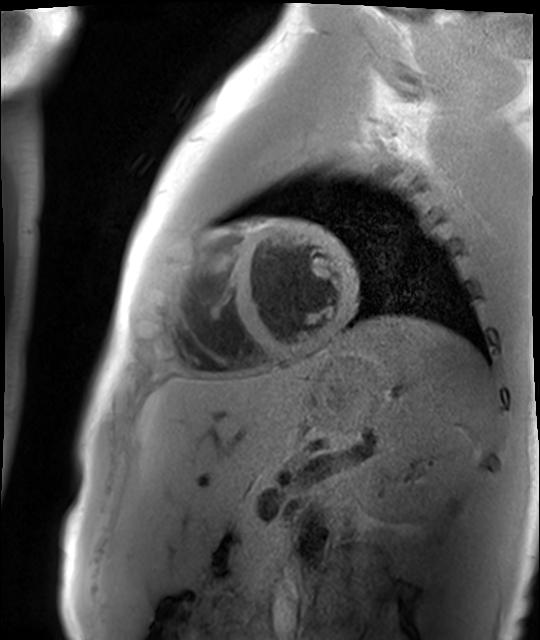
Q: What kind of scan is this?
A: Cardiac MR image of the myocardium.
Subject cohort: healthy volunteer.